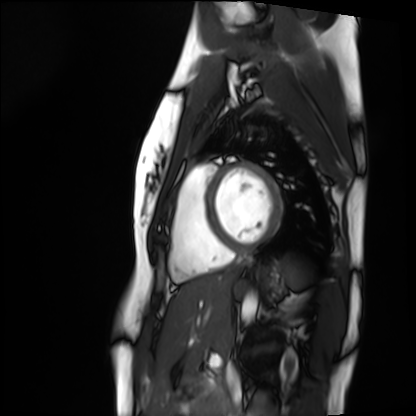
{"modality": "cardiac MRI", "cohort": "healthy volunteer"}